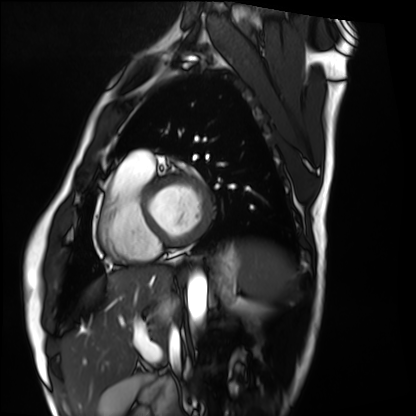
Cardiac MRI. Subject group: healthy volunteer.